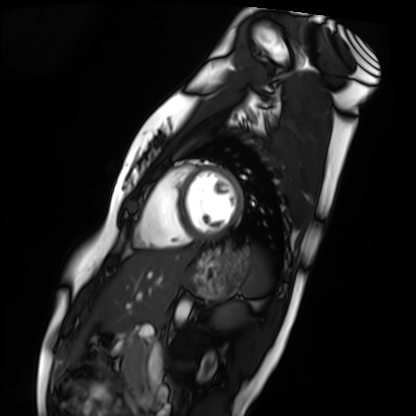
Summary:
Cardiac MRI. Subject group: healthy volunteer.